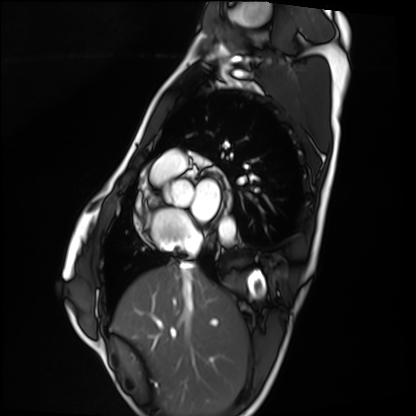
modality: cardiac MRI; subject group: healthy volunteer.